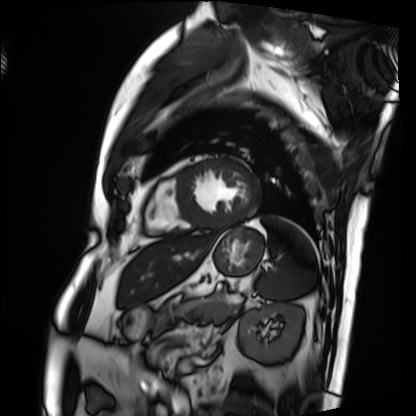
Cardiac MRI. Subject group: patient.